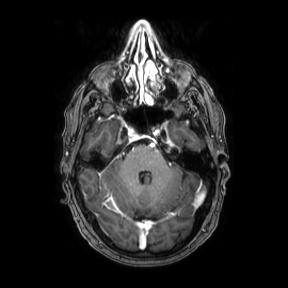
Case:
– modality — 3 Tesla brain MRI
– series — axial
– study — ring-enhancing brain masses